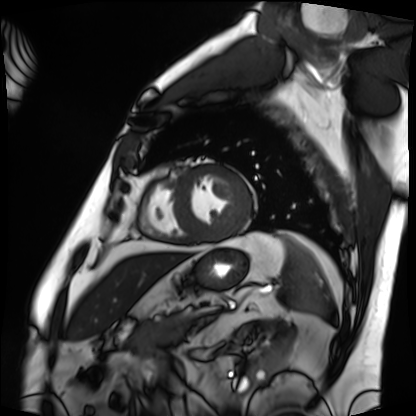
modality: cardiac MRI
cohort: patient